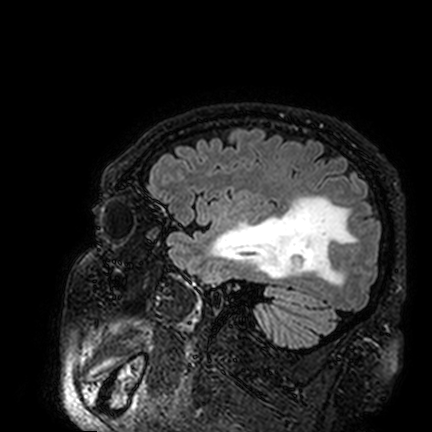
| field | value |
|---|---|
| modality | 3 Tesla brain MRI |
| series | FLAIR VISTA |
| study | ring-enhancing brain masses |